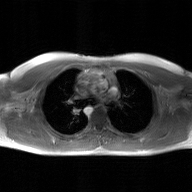
modality: 2D phase-contrast cine MRI of the ascending aorta, GAN super-resolution reconstruction